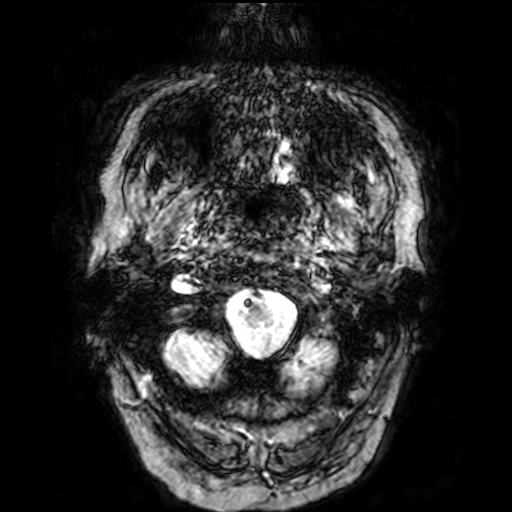
3 Tesla brain MRI. Series: T2-weighted fast field echo. Study: ring-enhancing brain masses.